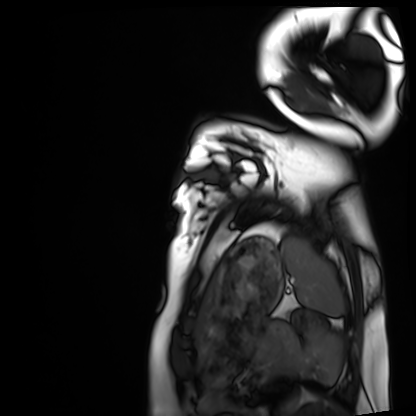
<record>
  <modality>cardiac MRI</modality>
  <cohort>healthy volunteer</cohort>
</record>